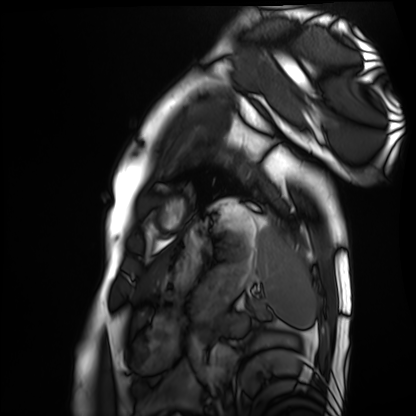
• modality — cardiac MRI
• subject group — healthy volunteer